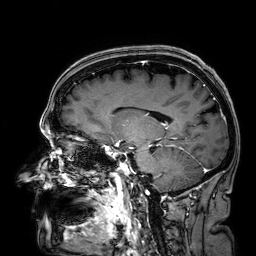
Summary: 3 Tesla brain MRI. Series: 3D T1-weighted. Study: ring-enhancing brain masses.